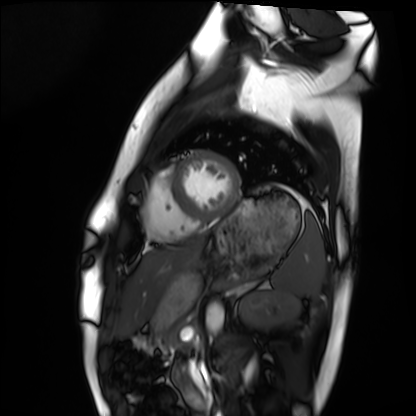
{"modality": "cardiac MRI", "cohort": "healthy volunteer"}